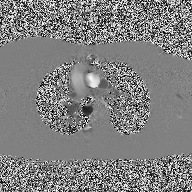
Case summary:
2D phase-contrast cine MRI of the ascending aorta, high-resolution GRAPPA acquisition.